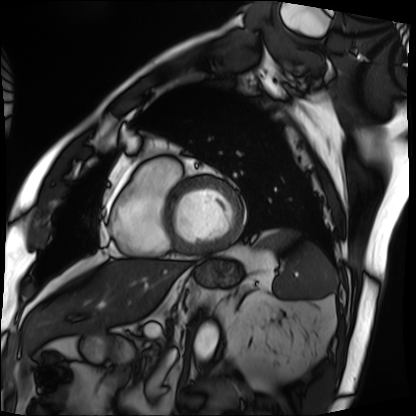
Case:
– modality — cardiac MRI
– subject group — patient